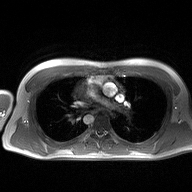
modality=2D phase-contrast cine MRI of the ascending aorta.